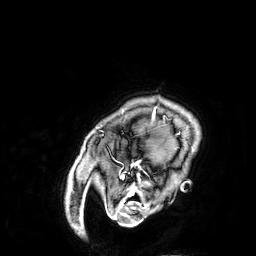
| field | value |
|---|---|
| modality | 3 Tesla brain MRI |
| study | ring-enhancing brain masses |